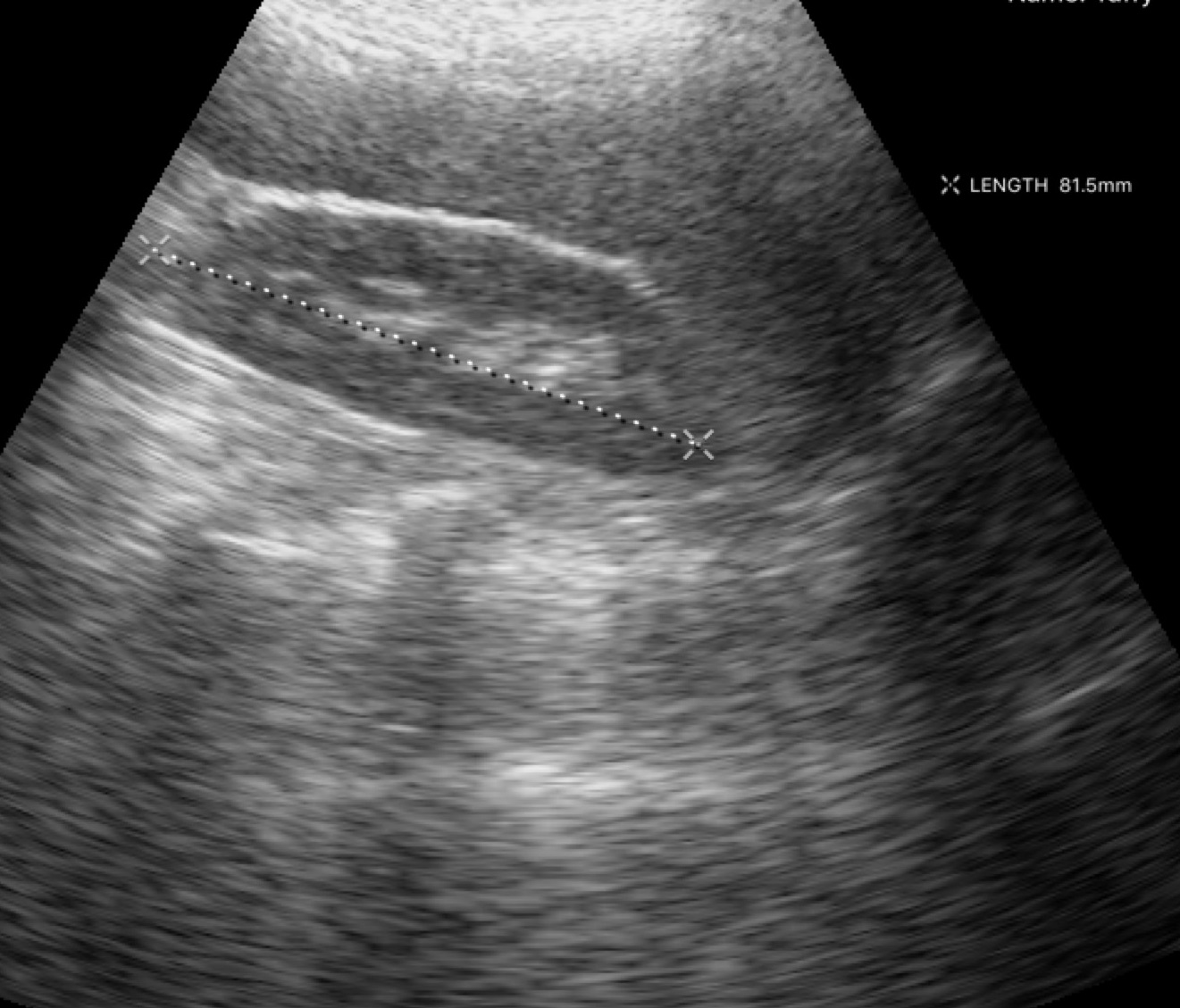
Genitourinary ultrasound.